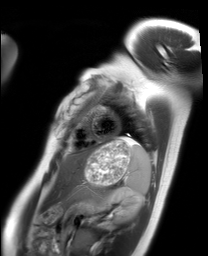
modality: cardiac MRI
subject group: healthy volunteer